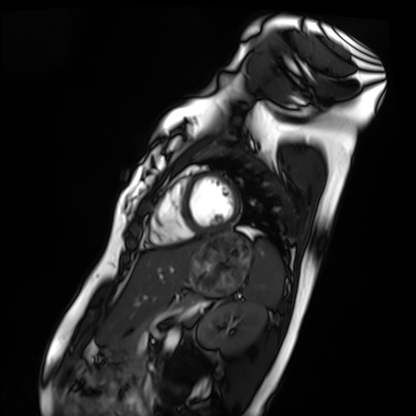
Cardiac MRI. Subject group: healthy volunteer.